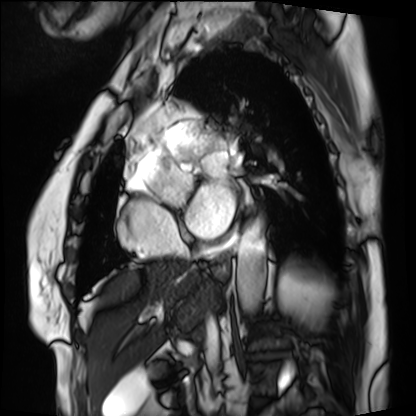
modality — cardiac MRI
subject group — patient